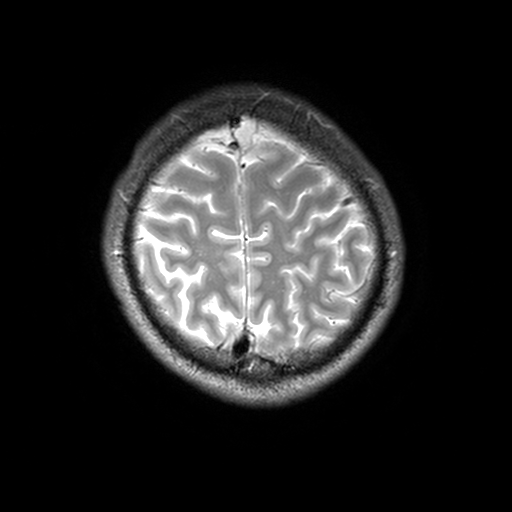
3 Tesla brain MRI. Series: T2-weighted turbo spin echo, 3 mm. Study: ring-enhancing brain masses.